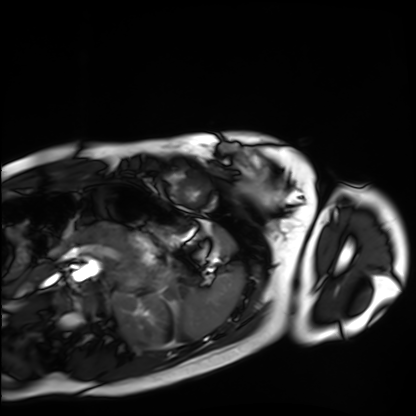
modality=cardiac MRI
subject group=healthy volunteer